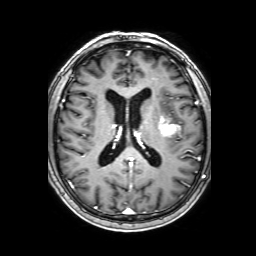
modality=3 Tesla brain MRI
series=3D T1-weighted with SENSE
study=ring-enhancing brain masses